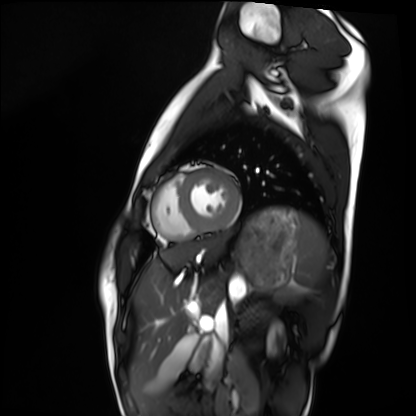
| field | value |
|---|---|
| modality | cardiac MRI |
| subject group | healthy volunteer |